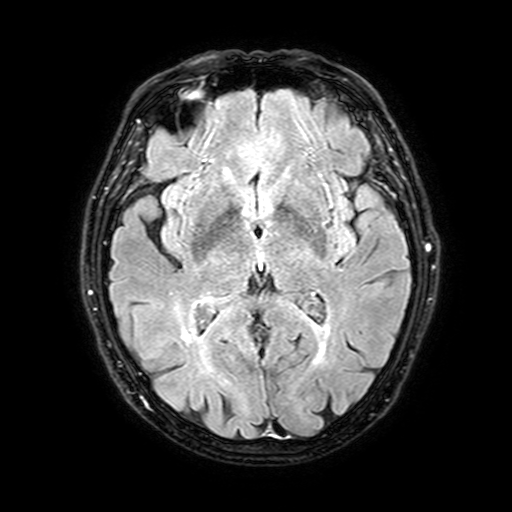
modality: 3 Tesla brain MRI | series: FLAIR with SPAIR, 3 mm | study: ring-enhancing brain masses.